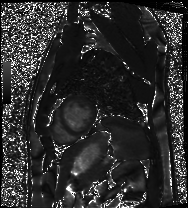
| field | value |
|---|---|
| modality | cardiac MRI |
| subject group | patient |